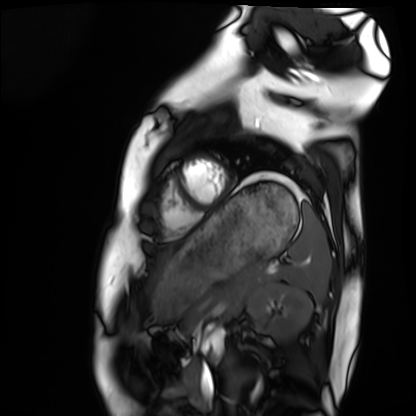
Summary:
Cardiac MRI. Subject group: healthy volunteer.